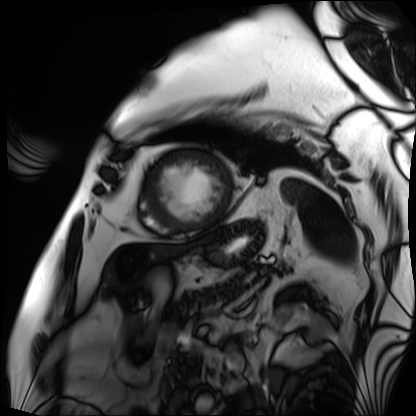
Cardiac MRI. Subject group: patient.